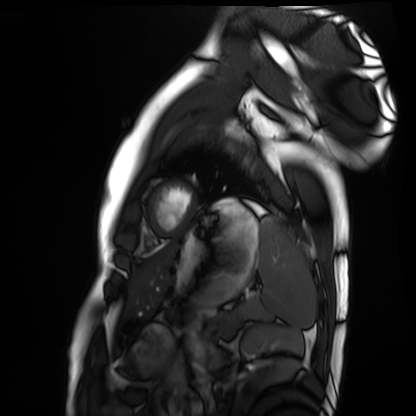
modality=cardiac MRI
subject group=healthy volunteer